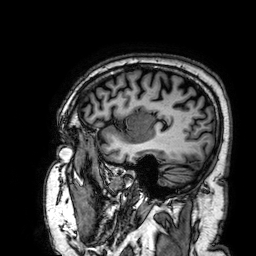
| field | value |
|---|---|
| modality | 3 Tesla brain MRI |
| series | 3D T1-weighted |
| study | ring-enhancing brain masses |